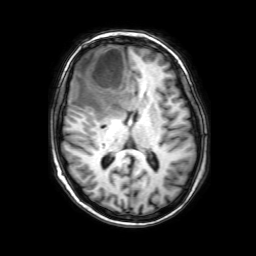
| field | value |
|---|---|
| modality | 3 Tesla brain MRI |
| series | 3D T1-weighted with SENSE |
| study | ring-enhancing brain masses |